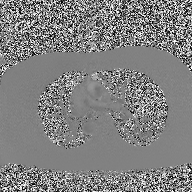
Case summary: 2D phase-contrast cine MRI of the ascending aorta, high-resolution GRAPPA acquisition.